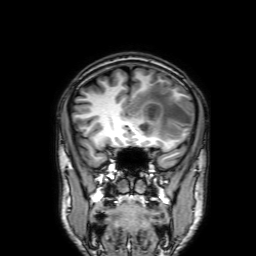
3 Tesla brain MRI. Series: 3D T1-weighted with SENSE. Study: ring-enhancing brain masses.